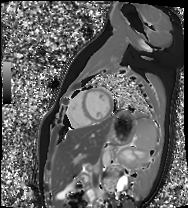
Case summary:
Cardiac MR image of the myocardium. Subject cohort: healthy volunteer.